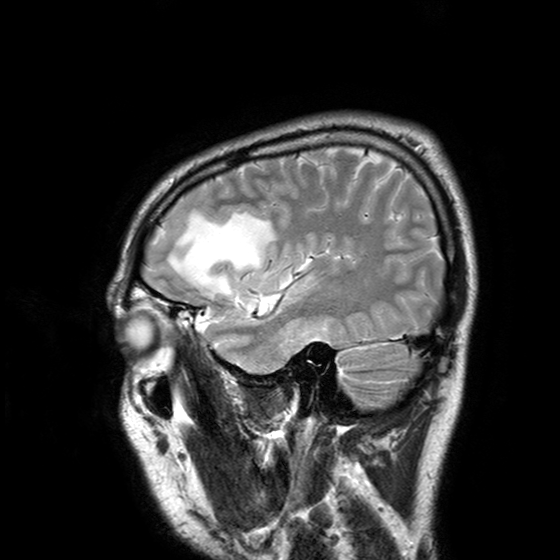
Summary: 3 Tesla brain MRI. Series: T2-weighted turbo spin echo with SENSE. Study: ring-enhancing brain masses.